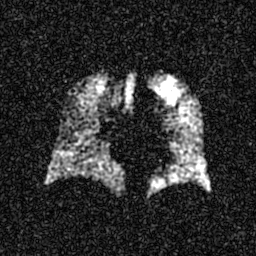
modality: hyperpolarized 129Xe ventilation MRI of the lungs, SNR level: 5 of 8 (the deposit holds this scan as its native image and as seven SNR-degraded versions).